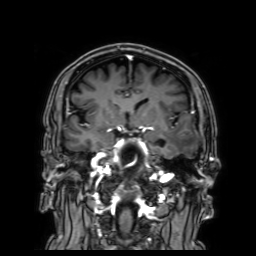
| field | value |
|---|---|
| modality | 3 Tesla brain MRI |
| series | 3D T1-weighted with SENSE |
| study | ring-enhancing brain masses |